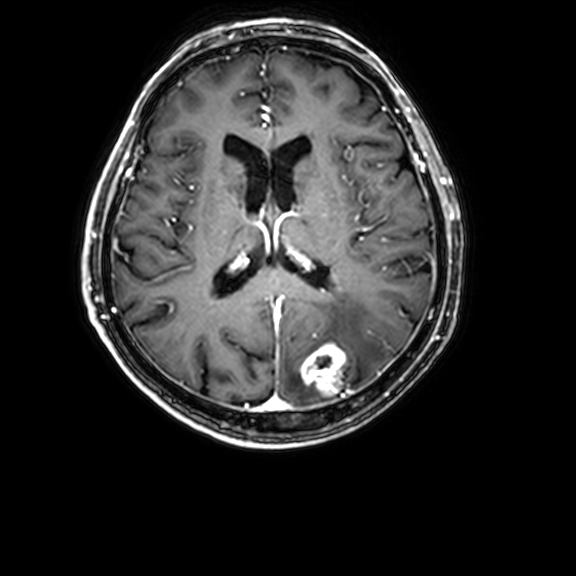
modality: 3 Tesla brain MRI
series: 3D T1-weighted with CLEAR
study: ring-enhancing brain masses